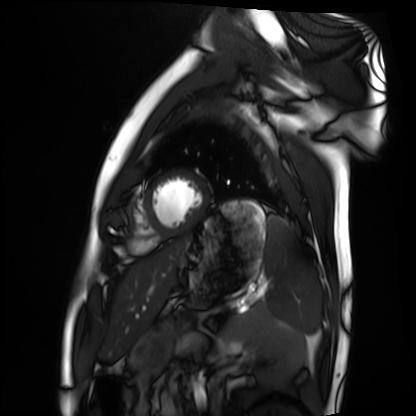
Cardiac MRI. Subject group: healthy volunteer.